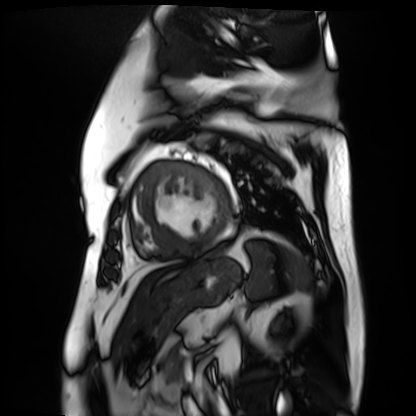
Case:
- modality · cardiac MR image of the myocardium
- subject cohort · cardiac patient